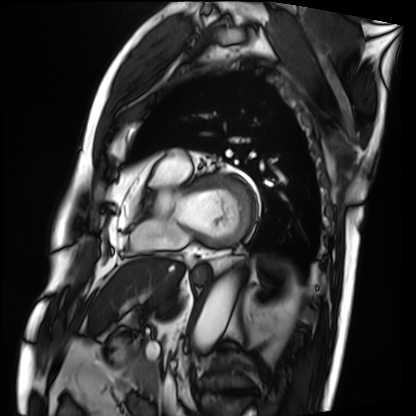
Cardiac MRI. Subject group: patient.